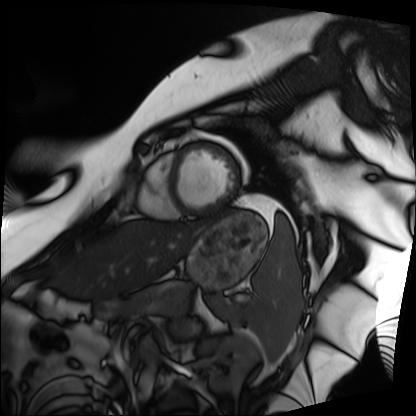
Cardiac MRI. Subject group: patient.